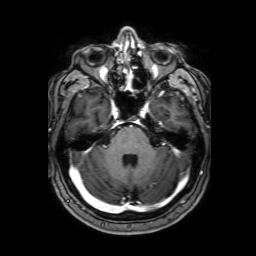
3 Tesla brain MRI. Series: 3D T1-weighted with SENSE. Study: ring-enhancing brain masses.